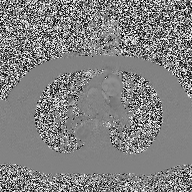
2D phase-contrast cine MRI of the ascending aorta, high-resolution GRAPPA acquisition.